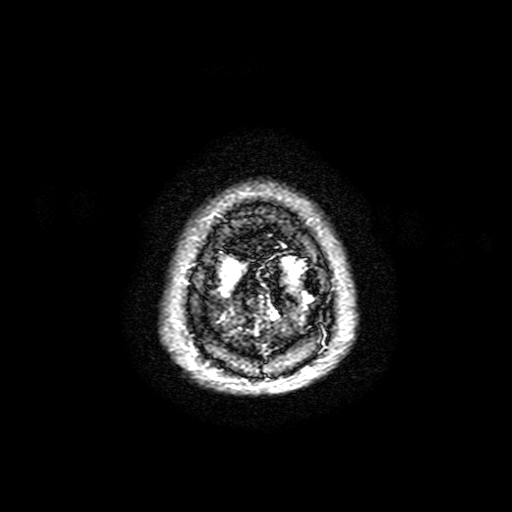
– modality · 3 Tesla brain MRI
– series · FLAIR with SPAIR, 3 mm
– study · ring-enhancing brain masses